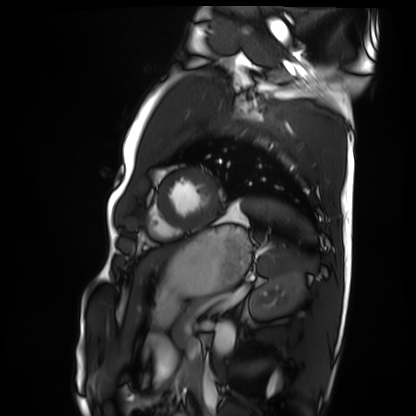
Cardiac MRI. Subject group: healthy volunteer.